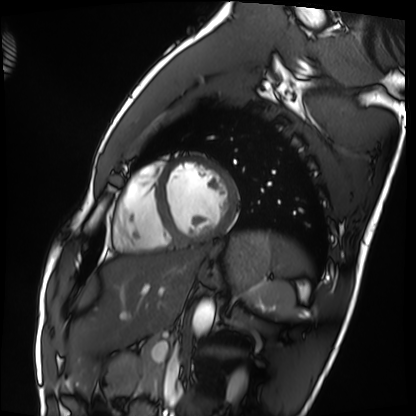
<case>
  <modality>cardiac MRI</modality>
  <cohort>healthy volunteer</cohort>
</case>